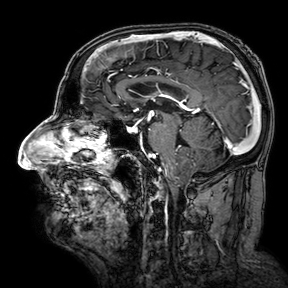
3 Tesla brain MRI. Series: 3D T1-weighted turbo field echo with SENSE. Study: ring-enhancing brain masses.